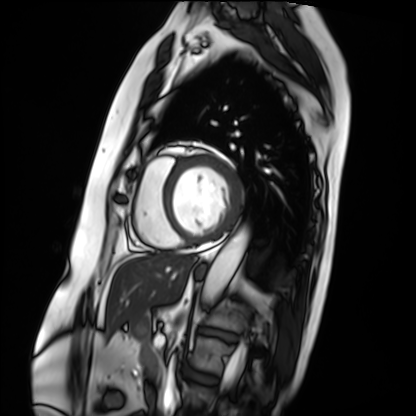
- modality — cardiac MRI
- subject group — patient